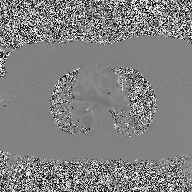
{"modality": {"type": "2D phase-contrast cine MRI", "region": "ascending aorta", "reconstruction": "high-resolution GRAPPA acquisition"}}